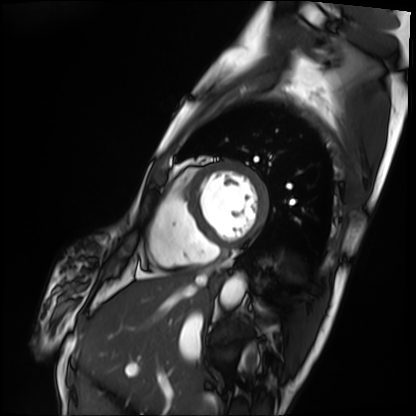
Cardiac MRI. Subject group: patient.